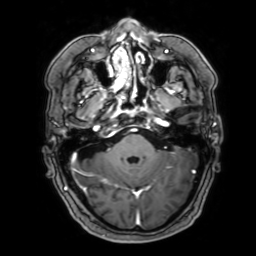
Summary:
3 Tesla brain MRI. Series: 3D T1-weighted with SENSE. Study: ring-enhancing brain masses.